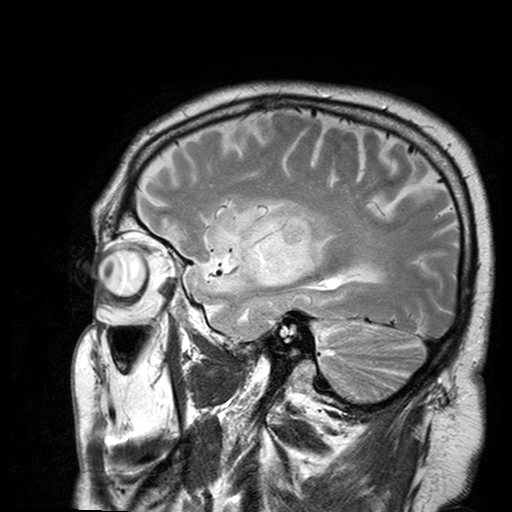
{
  "modality": {
    "type": "brain MRI",
    "field_strength": "3T"
  },
  "study_topic": "ring-enhancing brain masses"
}